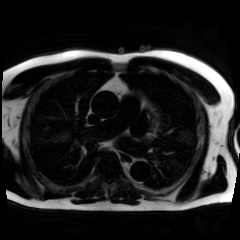
modality=chemical-shift-encoded cardiac MRI.